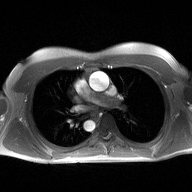
2D phase-contrast cine MRI of the ascending aorta, high-resolution GRAPPA acquisition.